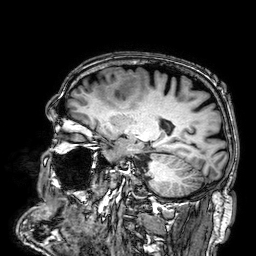
Summary:
3 Tesla brain MRI. Series: 3D T1-weighted. Study: ring-enhancing brain masses.